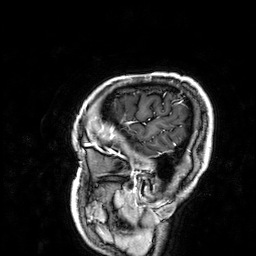
Q: What kind of scan is this?
A: 3 Tesla brain MRI.
Q: Series?
A: 3D T1-weighted.
Study: ring-enhancing brain masses.